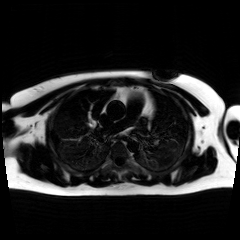
modality: chemical-shift-encoded cardiac MRI